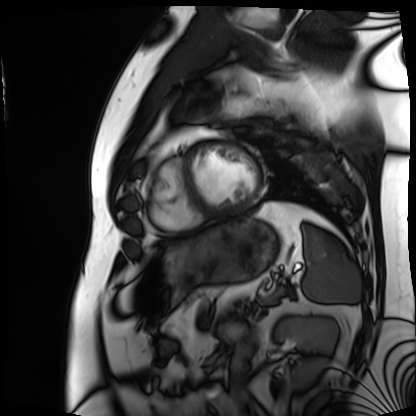
Summary:
Cardiac MRI. Subject group: patient.